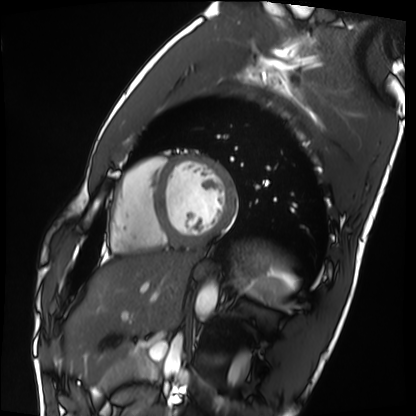
Summary: Cardiac MRI. Subject group: healthy volunteer.